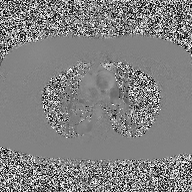
Q: What kind of scan is this?
A: 2D phase-contrast cine MRI of the ascending aorta.